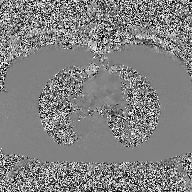
– modality: 2D phase-contrast cine MRI of the ascending aorta